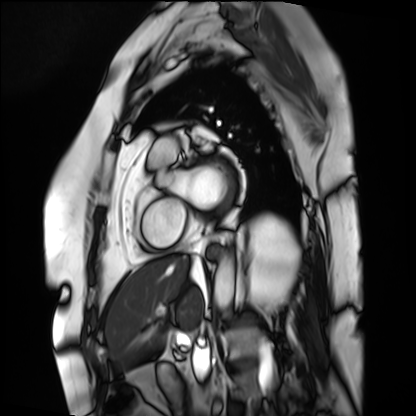
modality: cardiac MRI; subject group: patient.